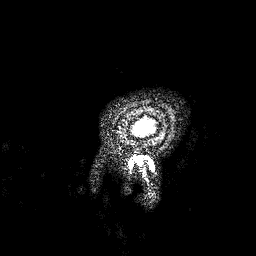
3 Tesla brain MRI.
Series: 3D T1-weighted.
Study: ring-enhancing brain masses.